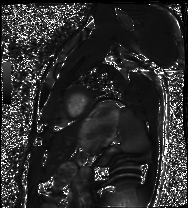
Cardiac MRI. Subject group: healthy volunteer.